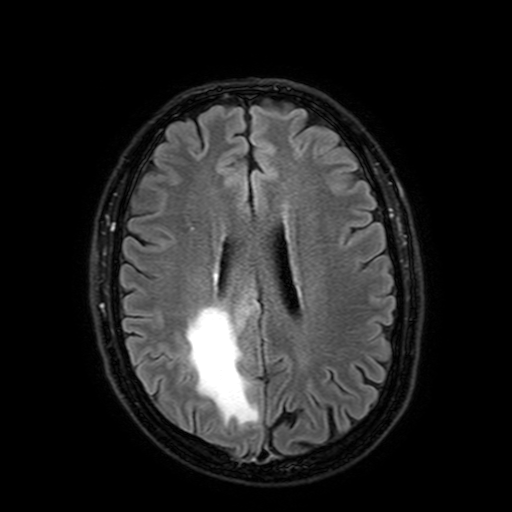
Q: What kind of scan is this?
A: 3 Tesla brain MRI.
Q: Series?
A: FLAIR with SPAIR, 3 mm.
Study: ring-enhancing brain masses.